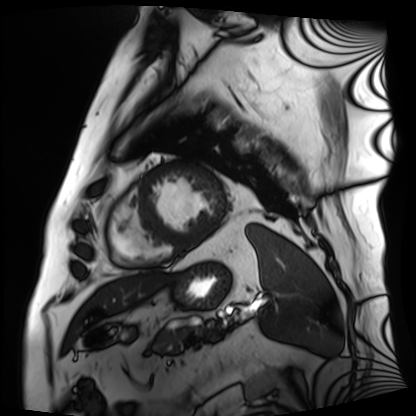
  modality: cardiac MRI
  cohort: patient